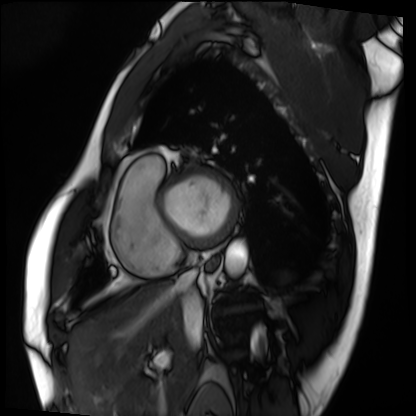
Q: What kind of scan is this?
A: Cardiac MRI.
Subject group: patient.